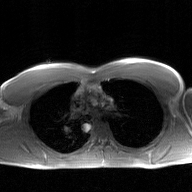
Clinical context: 2D phase-contrast cine MRI of the ascending aorta, GAN super-resolution reconstruction.